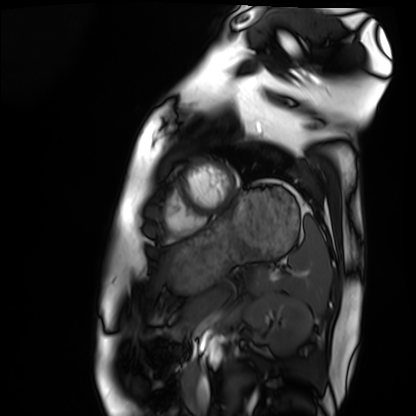
Summary: Cardiac MRI. Subject group: healthy volunteer.